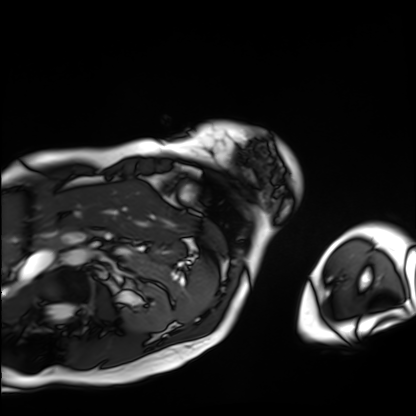
{"modality": "cardiac MRI", "cohort": "patient"}